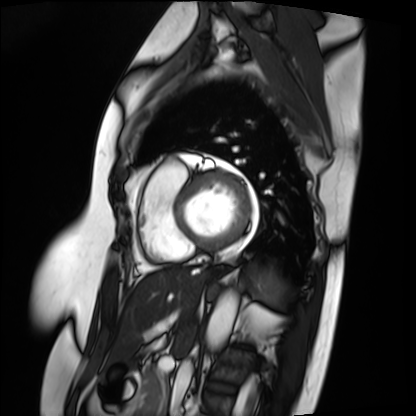
{"modality": "cardiac MRI", "cohort": "patient"}